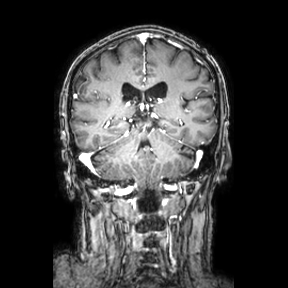
Clinical context: 3 Tesla brain MRI. Series: coronal. Study: ring-enhancing brain masses.